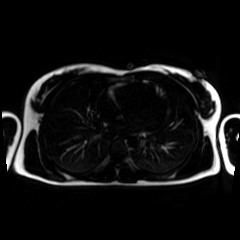
Summary:
Chemical-shift-encoded cardiac MRI.